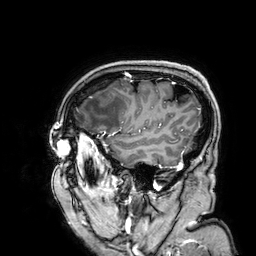
modality:
  type: brain MRI
  field_strength: 3T
series: 3D T1-weighted
study_topic: ring-enhancing brain masses